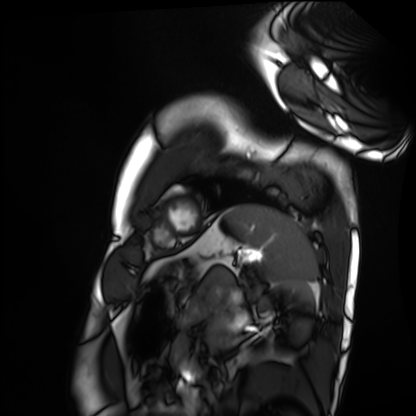
modality: cardiac MRI | subject group: healthy volunteer.